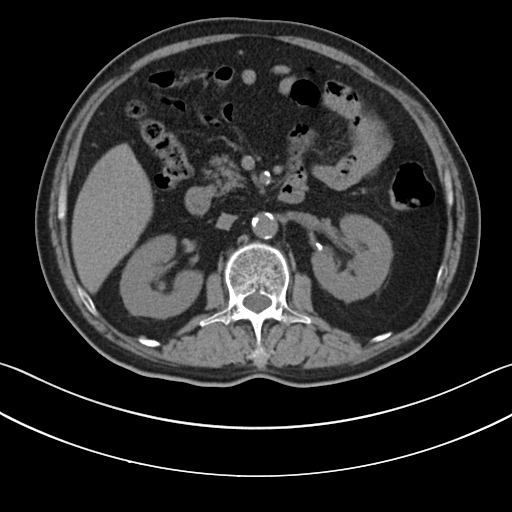
Multiphase abdominal CT, liver, non-contrast phase.